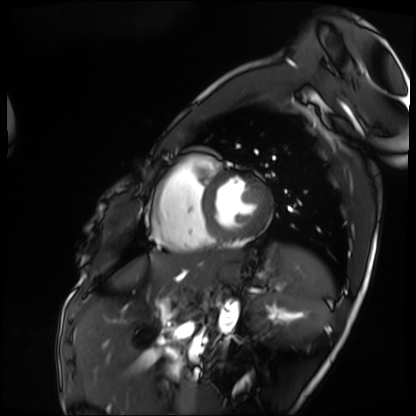
  modality: cardiac MRI
  cohort: patient